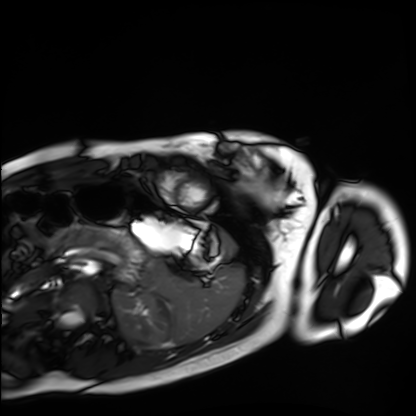
{
  "modality": "cardiac MRI",
  "cohort": "healthy volunteer"
}